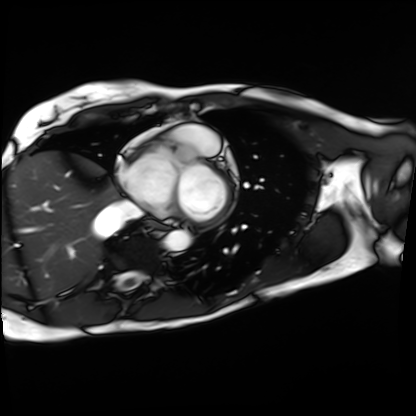
{"modality": "cardiac MRI", "cohort": "patient"}